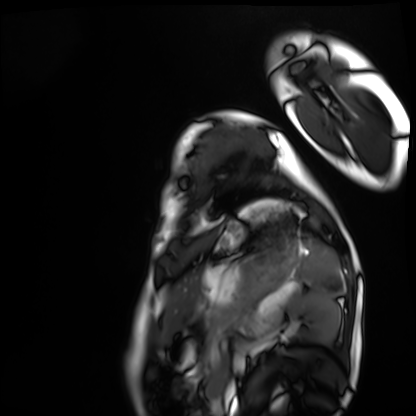
Cardiac MRI.
Subject group: healthy volunteer.